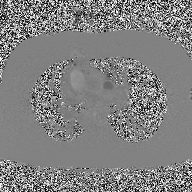
Summary: 2D phase-contrast cine MRI of the ascending aorta, high-resolution GRAPPA acquisition.